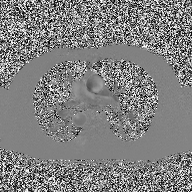
Q: What kind of scan is this?
A: 2D phase-contrast cine MRI of the ascending aorta.